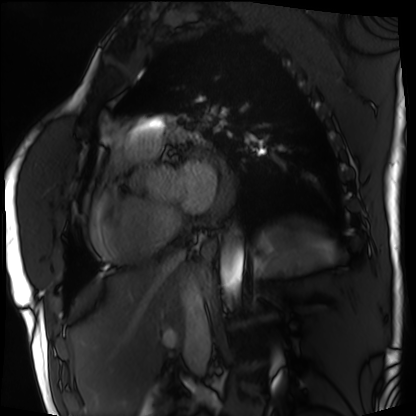
Summary:
Cardiac MRI. Subject group: patient.